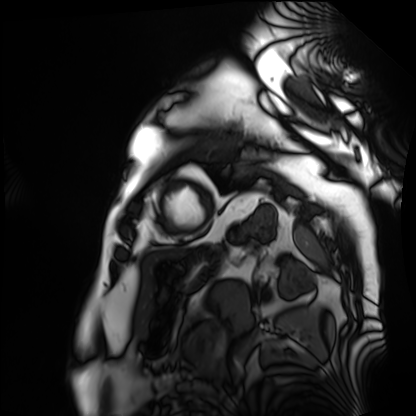
Case summary: Cardiac MRI. Subject group: patient.